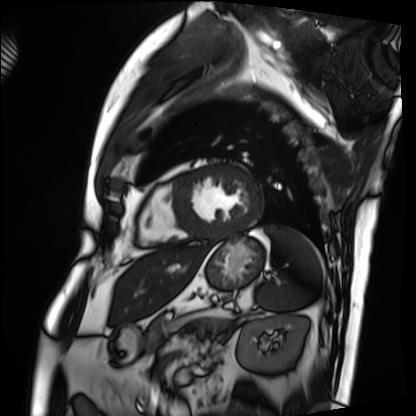
Cardiac MRI. Subject group: patient.